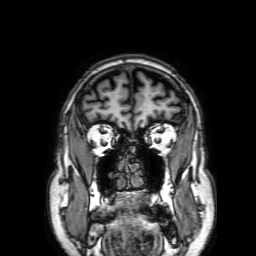
– modality: 3 Tesla brain MRI
– study: ring-enhancing brain masses